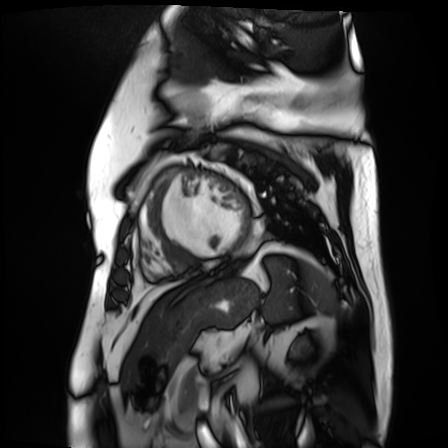
Cardiac MR image of the myocardium.
Subject cohort: cardiac patient.